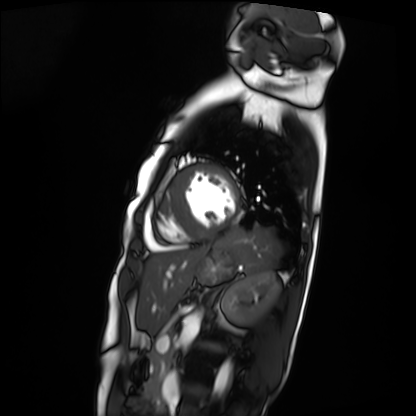
Cardiac MRI. Subject group: patient.